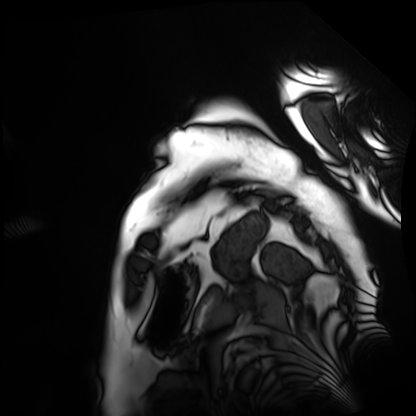
| field | value |
|---|---|
| modality | cardiac MRI |
| subject group | patient |